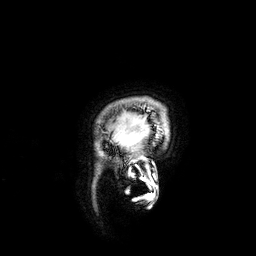
modality = 3 Tesla brain MRI
series = 3D T1-weighted
study = ring-enhancing brain masses